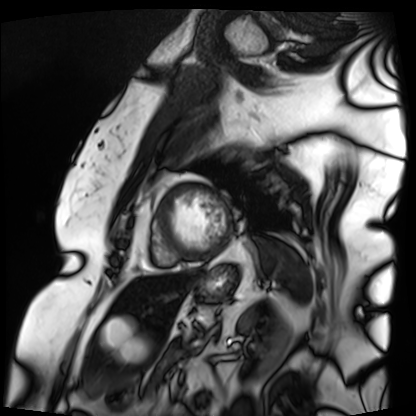
Cardiac MRI. Subject group: patient.